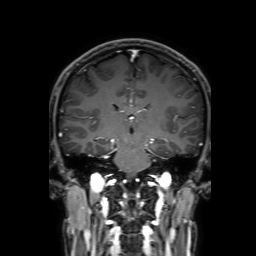
Q: What kind of scan is this?
A: 3 Tesla brain MRI.
Study: ring-enhancing brain masses.